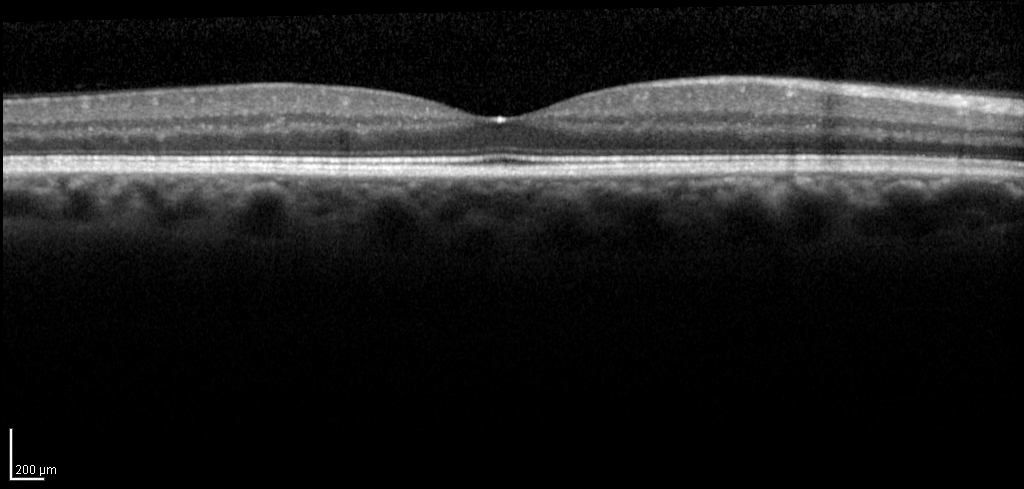
Q: What kind of scan is this?
A: Spectral-domain optical coherence tomography (SD-OCT) of the macula.
Q: Subject?
A: Male, age 53, right eye.
Cohort: non-diabetic control.
Q: ETDRS-grid retinal thickness (μm)?
A: Central 283, inner temporal 343, inner nasal 358, inner superior 355, inner inferior 353, outer temporal 297, outer nasal 321, outer superior 310, outer inferior 309.